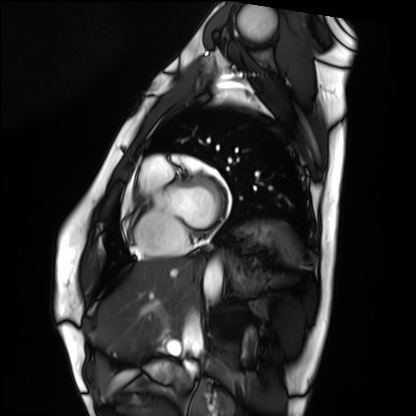
{
  "modality": "cardiac MRI",
  "cohort": "healthy volunteer"
}